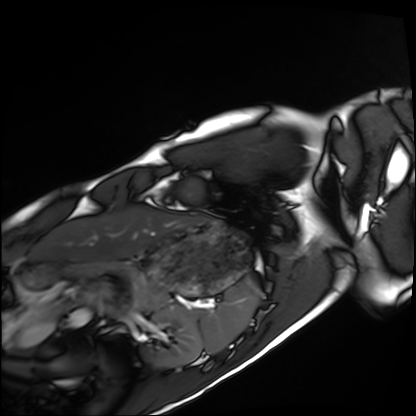
{"modality": "cardiac MRI", "cohort": "healthy volunteer"}